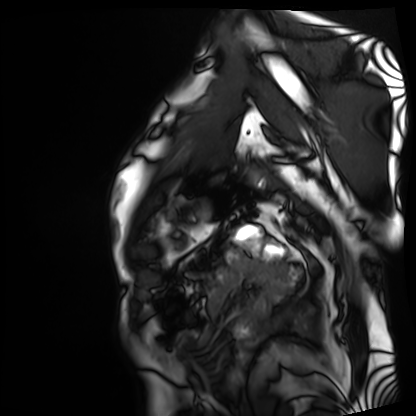
Cardiac MRI. Subject group: patient.